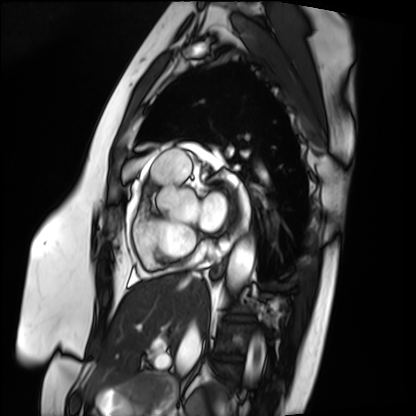
• modality · cardiac MRI
• subject group · patient